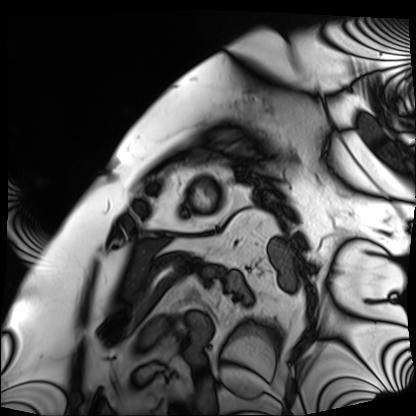
Cardiac MRI.
Subject group: patient.